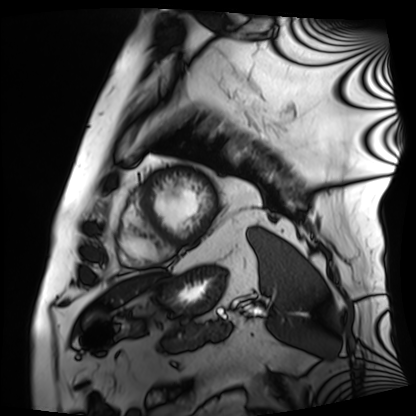
- modality · cardiac MRI
- subject group · patient